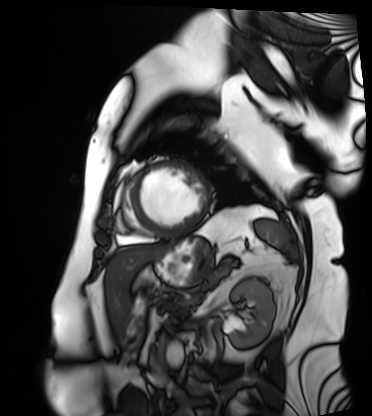
Case summary: Cardiac MRI. Subject group: patient.